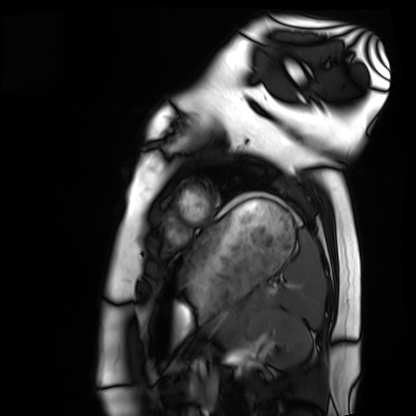
Case summary: Cardiac MRI. Subject group: healthy volunteer.